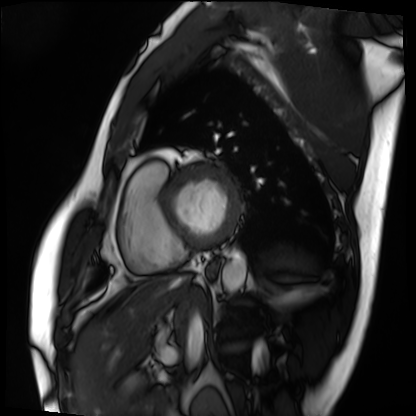
Case:
• modality — cardiac MRI
• subject group — patient